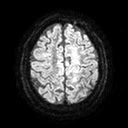
3 Tesla brain MRI.
Series: diffusion tensor imaging (medium iso).
Study: ring-enhancing brain masses.